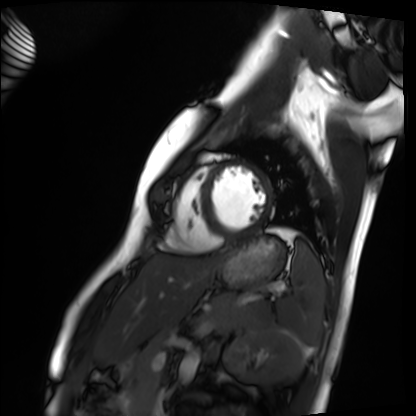
Cardiac MRI. Subject group: healthy volunteer.